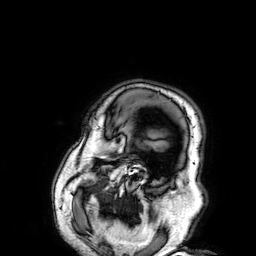
modality: 3 Tesla brain MRI; series: 3D T1-weighted; study: ring-enhancing brain masses.